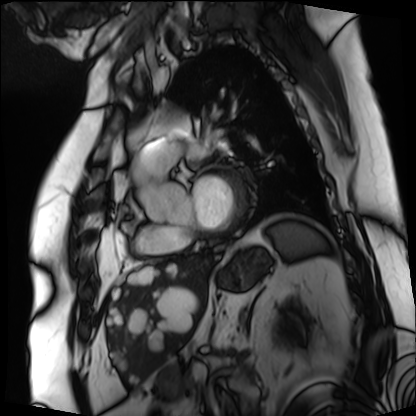
Clinical context:
Cardiac MRI. Subject group: patient.